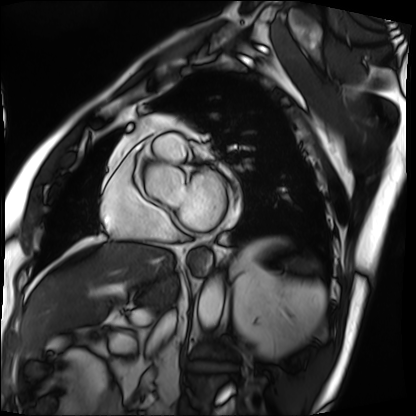
Cardiac MRI.
Subject group: patient.